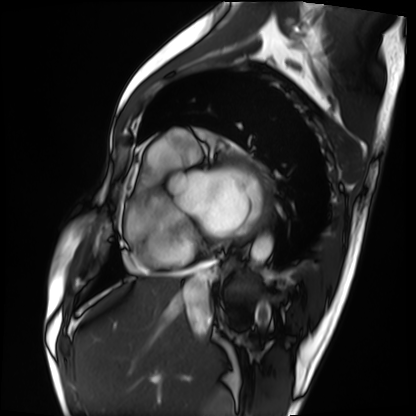
Cardiac MRI. Subject group: patient.